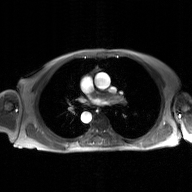
<record>
  <modality>
    <type>2D phase-contrast cine MRI</type>
    <region>ascending aorta</region>
    <reconstruction>GAN super-resolution reconstruction</reconstruction>
  </modality>
</record>